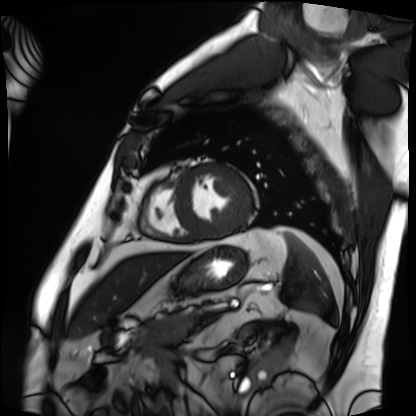
Clinical context: Cardiac MRI. Subject group: patient.